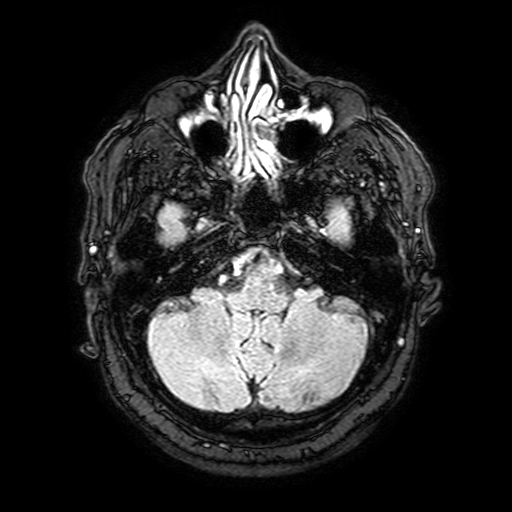
Q: What kind of scan is this?
A: 3 Tesla brain MRI.
Q: Series?
A: FLAIR with SPAIR, 3 mm.
Study: ring-enhancing brain masses.